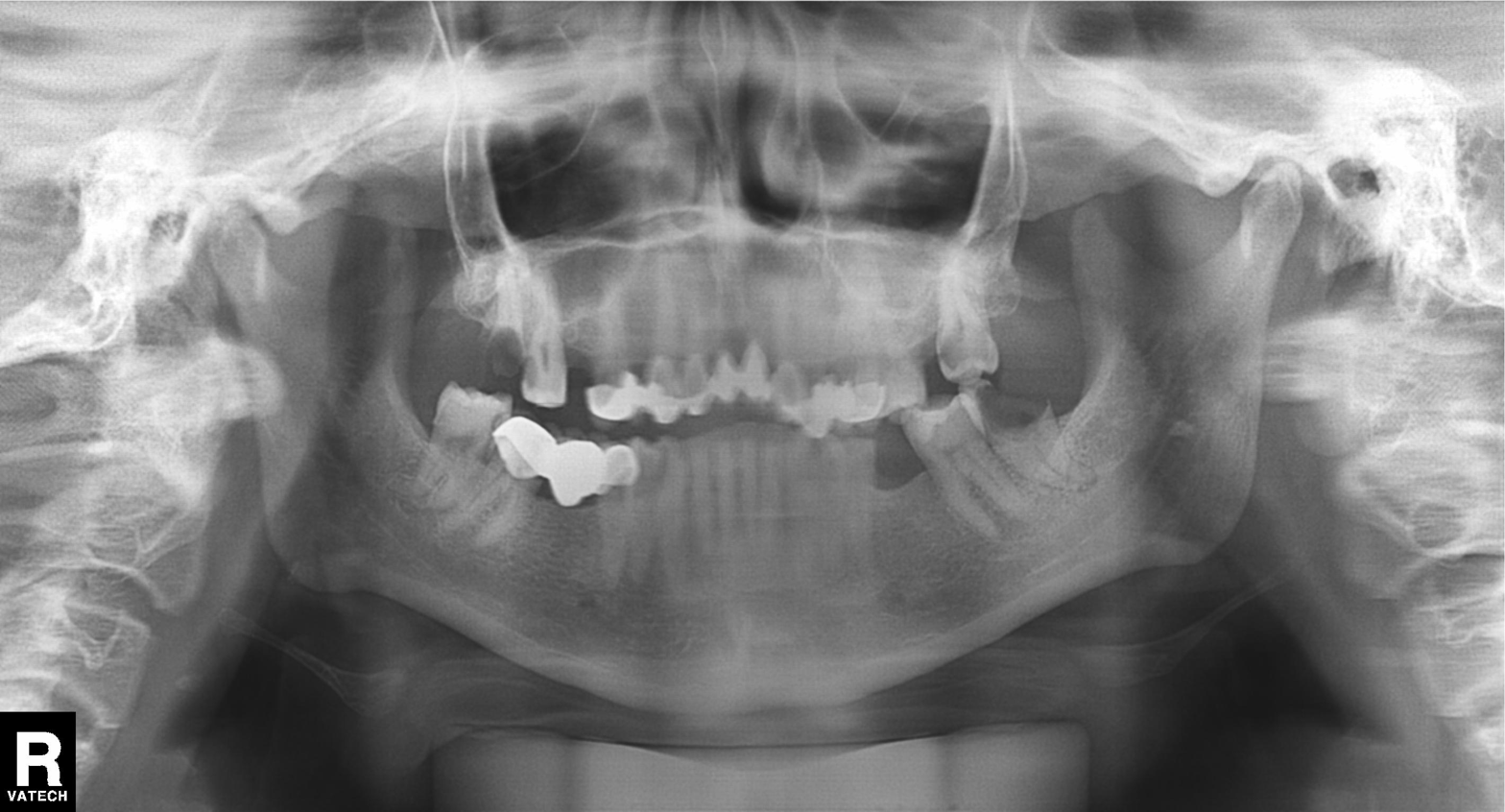
Summary: Panoramic dental radiograph (orthopantomogram).
Impression: Alveolar bone loss.